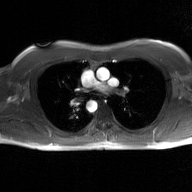
2D phase-contrast cine MRI of the ascending aorta, GAN super-resolution reconstruction.